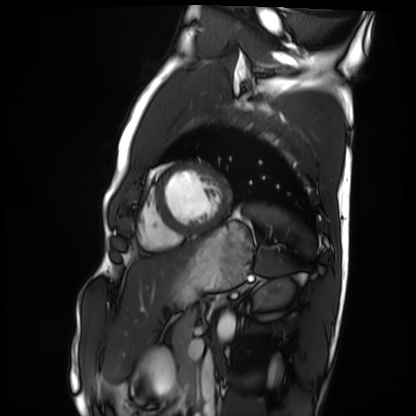
Cardiac MRI.
Subject group: healthy volunteer.